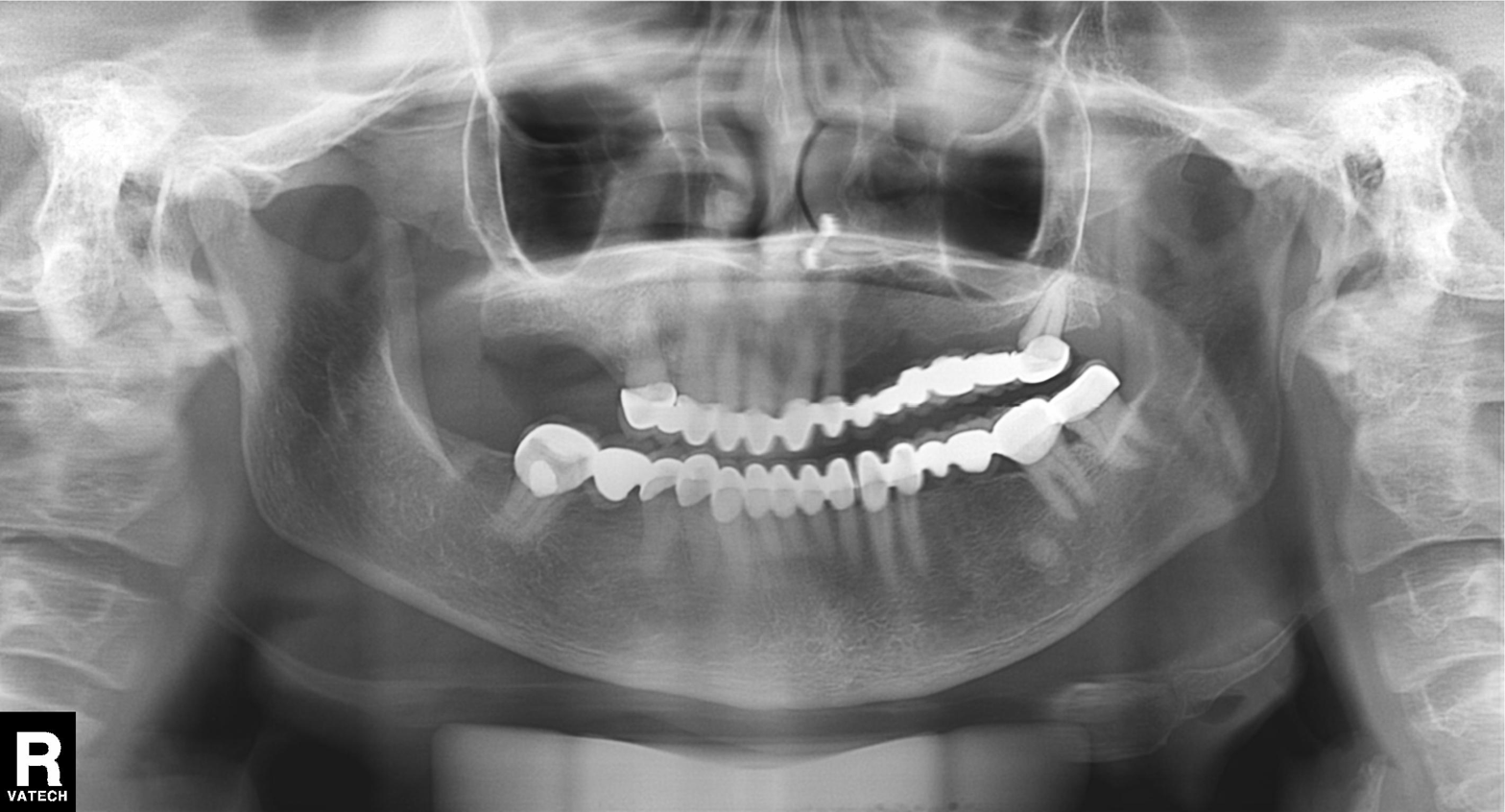
Panoramic dental radiograph (orthopantomogram). Finding: alveolar bone loss.